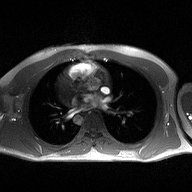
2D phase-contrast cine MRI of the ascending aorta, high-resolution GRAPPA acquisition.